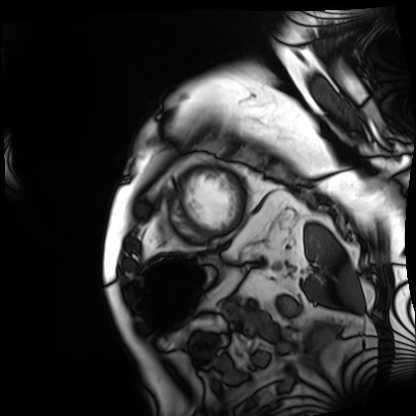
<case>
<modality>cardiac MRI</modality>
<cohort>patient</cohort>
</case>